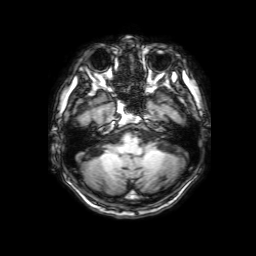
Summary:
3 Tesla brain MRI. Series: 3D T1-weighted with SENSE. Study: ring-enhancing brain masses.